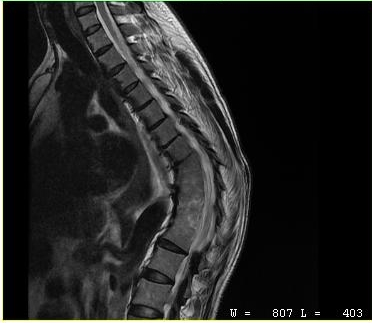
MRI of the cervical spine. Study: cervical spondylosis.